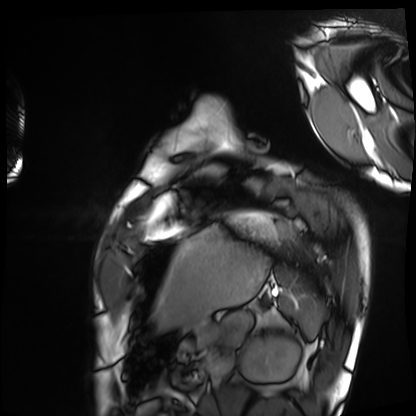
Cardiac MRI.
Subject group: healthy volunteer.